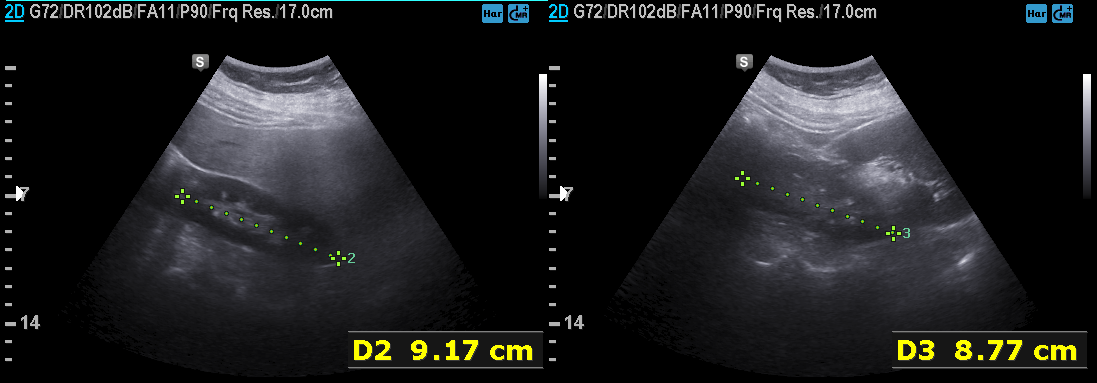
modality=genitourinary ultrasound.